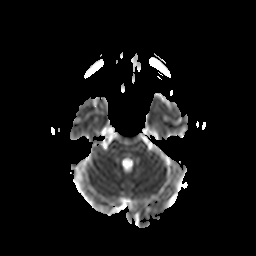
Q: What kind of scan is this?
A: 3 Tesla brain MRI.
Q: Series?
A: Diffusion-weighted imaging with CLEAR.
Study: ring-enhancing brain masses.